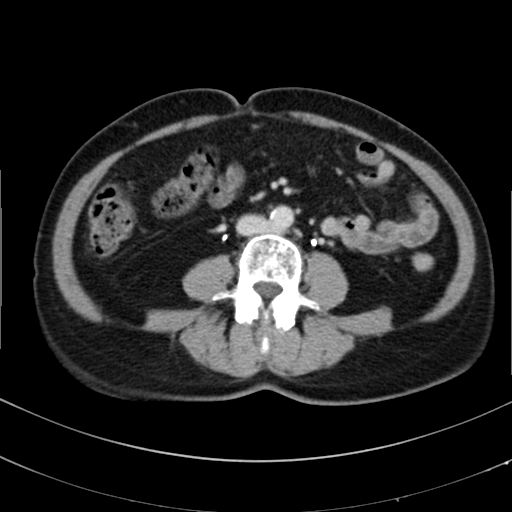
modality = multiphase abdominal CT, liver, delayed phase | patient = female, age 67.